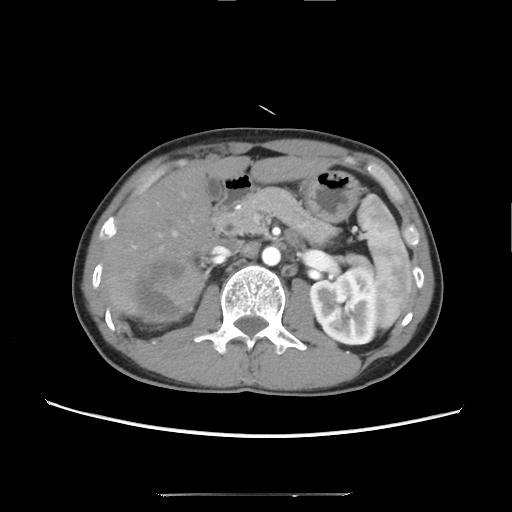
modality: multiphase abdominal CT, liver, arterial phase | patient: male, age 39 | history: cirrhosis, viral hepatitis.